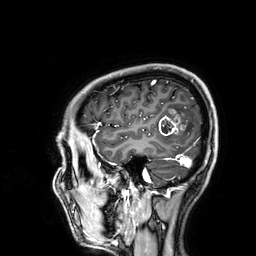
3 Tesla brain MRI. Study: ring-enhancing brain masses.